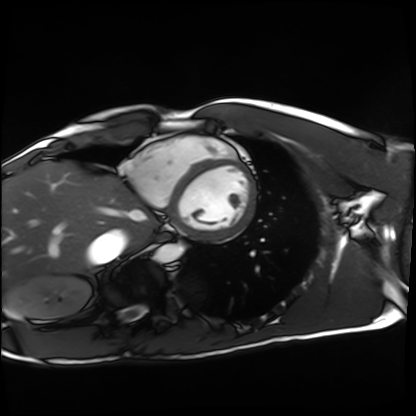
Cardiac MRI. Subject group: healthy volunteer.